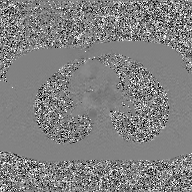
* modality · 2D phase-contrast cine MRI of the ascending aorta, GAN super-resolution reconstruction